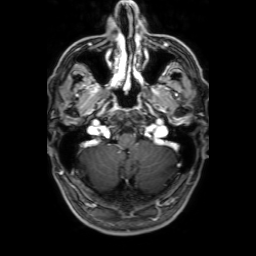
3 Tesla brain MRI.
Series: 3D T1-weighted with SENSE.
Study: ring-enhancing brain masses.